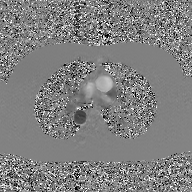
{
  "modality": {
    "type": "2D phase-contrast cine MRI",
    "region": "ascending aorta",
    "reconstruction": "GAN super-resolution reconstruction"
  }
}